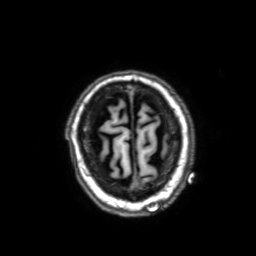
modality: 3 Tesla brain MRI
series: 3D T1-weighted with SENSE
study: ring-enhancing brain masses